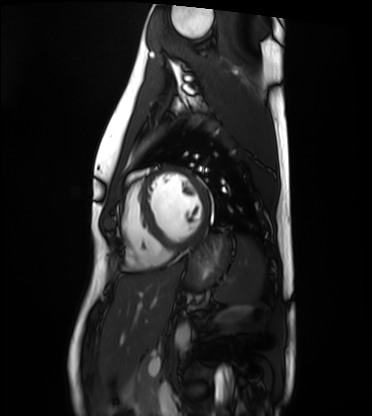
Cardiac MRI. Subject group: healthy volunteer.